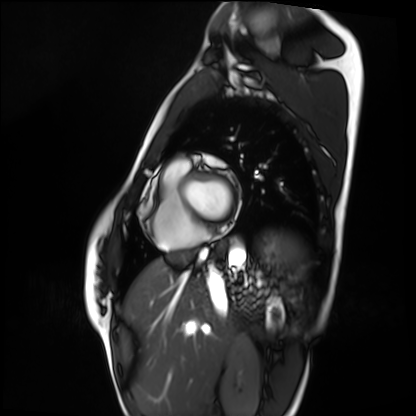
Case:
– modality — cardiac MRI
– subject group — healthy volunteer